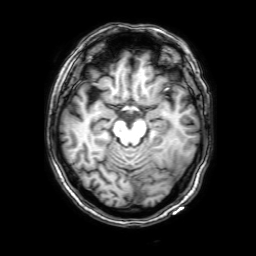
3 Tesla brain MRI.
Study: ring-enhancing brain masses.